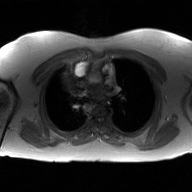
Summary:
2D phase-contrast cine MRI of the ascending aorta, GAN super-resolution reconstruction.